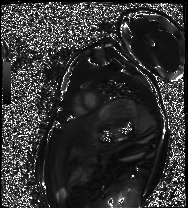
{
  "modality": "cardiac MRI",
  "cohort": "healthy volunteer"
}